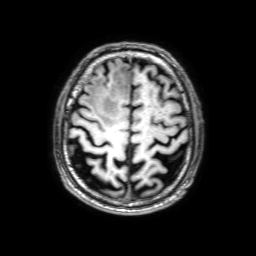
Summary: 3 Tesla brain MRI. Series: 3D T1-weighted with SENSE. Study: ring-enhancing brain masses.